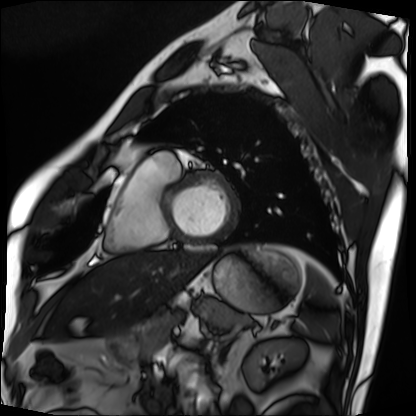
<record>
  <modality>cardiac MRI</modality>
  <cohort>patient</cohort>
</record>